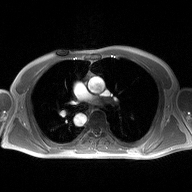
Q: What kind of scan is this?
A: 2D phase-contrast cine MRI of the ascending aorta.